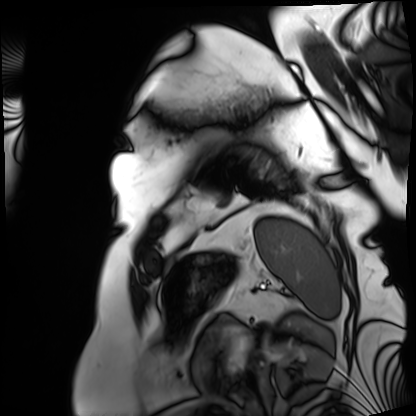
Case summary:
Cardiac MRI. Subject group: patient.